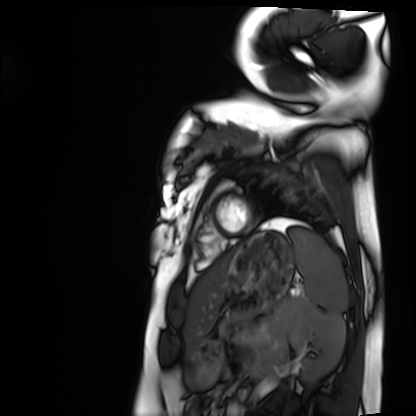
Cardiac MRI. Subject group: healthy volunteer.